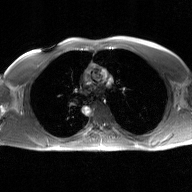
modality: 2D phase-contrast cine MRI of the ascending aorta, GAN super-resolution reconstruction.